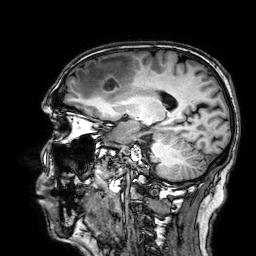
3 Tesla brain MRI.
Series: 3D T1-weighted.
Study: ring-enhancing brain masses.